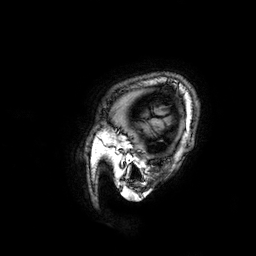
3 Tesla brain MRI. Series: 3D T1-weighted. Study: ring-enhancing brain masses.